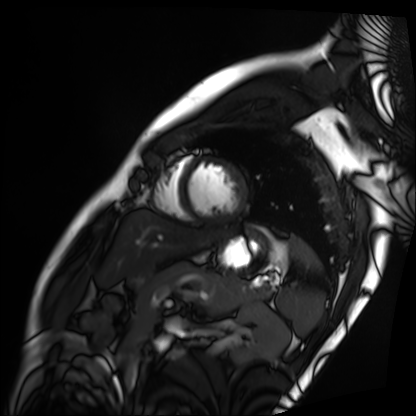
Q: What kind of scan is this?
A: Cardiac MRI.
Subject group: patient.